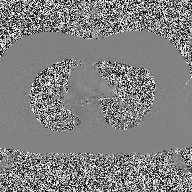
modality=2D phase-contrast cine MRI of the ascending aorta